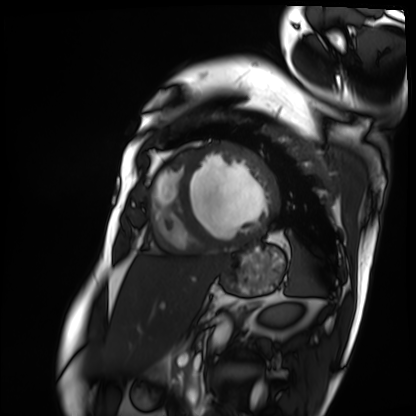
– modality · cardiac MRI
– subject group · patient